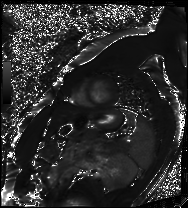
Q: What kind of scan is this?
A: Cardiac MRI.
Subject group: patient.